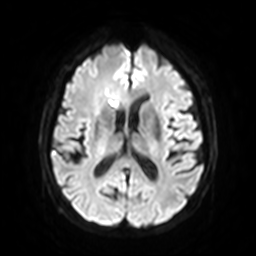
| field | value |
|---|---|
| modality | 3 Tesla brain MRI |
| series | diffusion-weighted imaging with SENSE (WIP) |
| study | ring-enhancing brain masses |